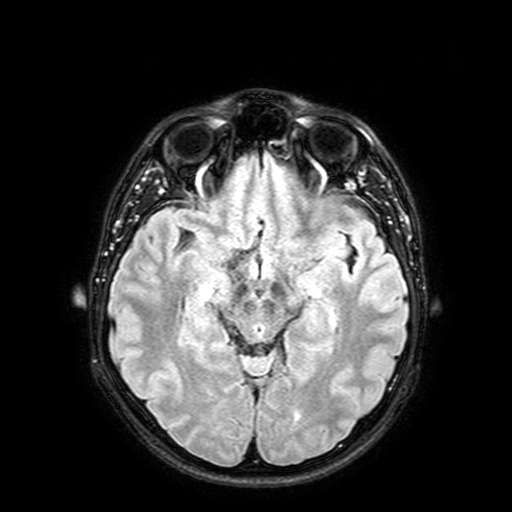
modality = 3 Tesla brain MRI
series = FLAIR with SPAIR, 3 mm
study = ring-enhancing brain masses